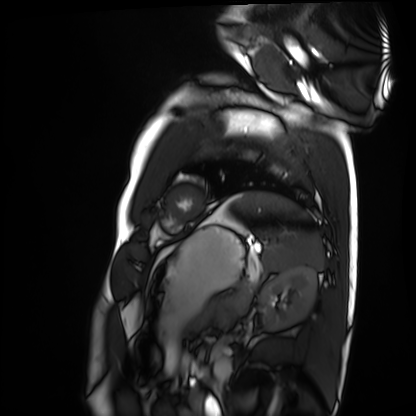
<case>
  <modality>cardiac MRI</modality>
  <cohort>healthy volunteer</cohort>
</case>